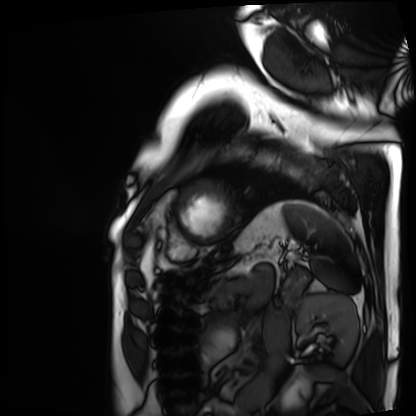
Cardiac MRI. Subject group: patient.